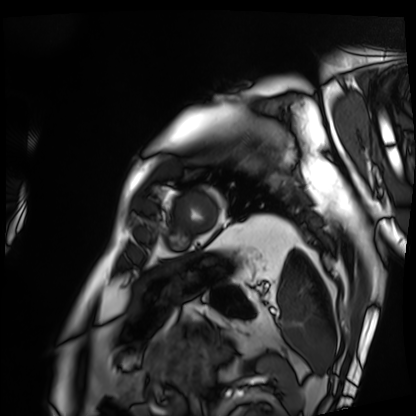
• modality: cardiac MRI
• subject group: patient